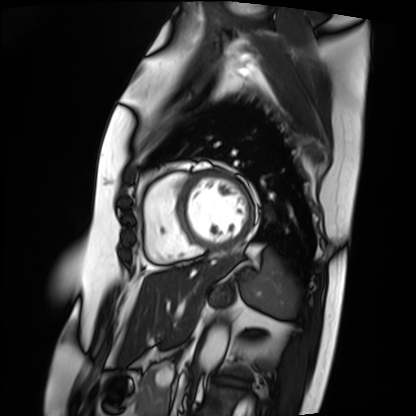
Cardiac MRI.
Subject group: patient.